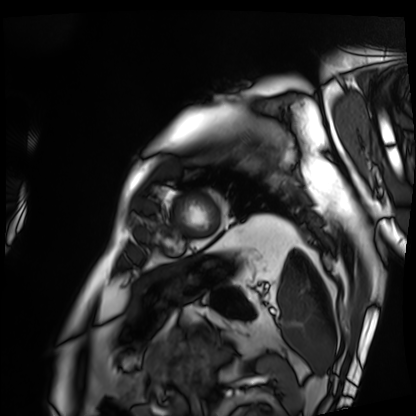
Cardiac MRI. Subject group: patient.